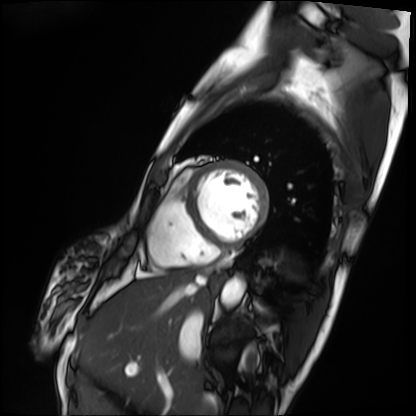
Q: What kind of scan is this?
A: Cardiac MRI.
Subject group: patient.